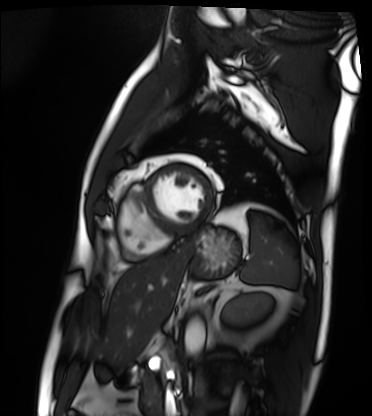
Case summary: Cardiac MRI. Subject group: patient.